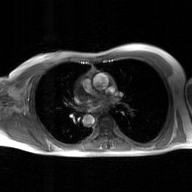
2D phase-contrast cine MRI of the ascending aorta, GAN super-resolution reconstruction.